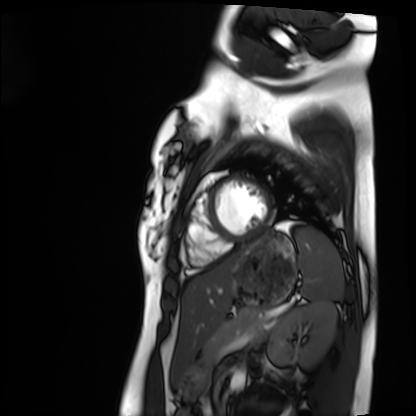
Cardiac MRI. Subject group: healthy volunteer.